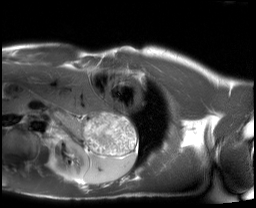
- modality — cardiac MRI
- subject group — healthy volunteer